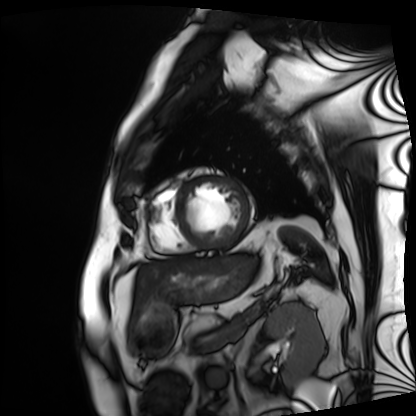
Cardiac MRI. Subject group: patient.